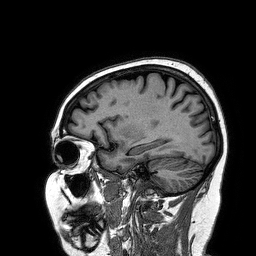
modality=3 Tesla brain MRI | series=3D T1-weighted turbo field echo | study=ring-enhancing brain masses.